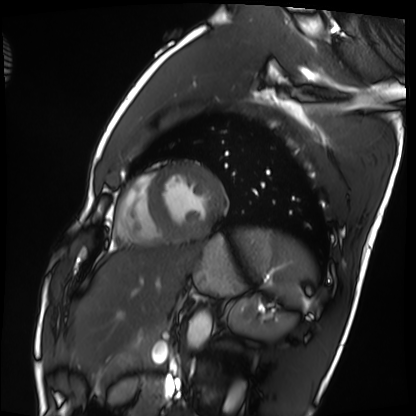
Clinical context:
Cardiac MRI. Subject group: healthy volunteer.